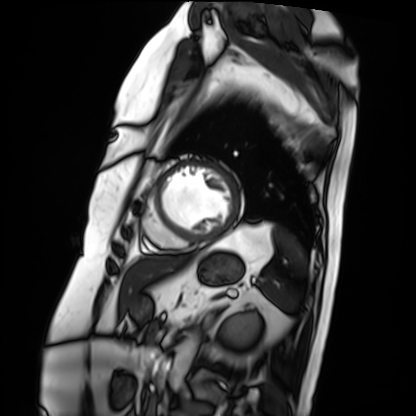
modality = cardiac MRI; subject group = patient.